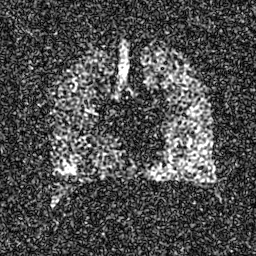
modality: hyperpolarized 129Xe ventilation MRI of the lungs | SNR level: 6 of 8 (the deposit holds this scan as its native image and as seven SNR-degraded versions).